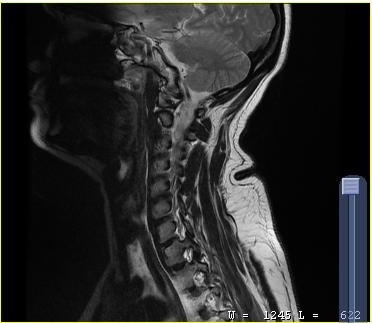
modality — MRI of the cervical spine | study — cervical spondylosis.